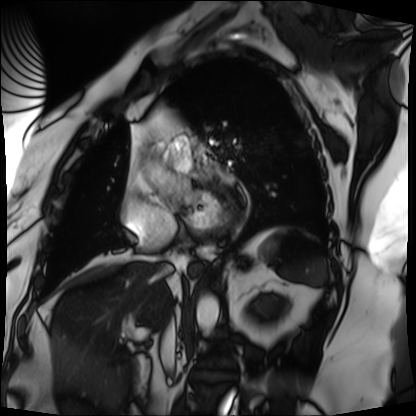
modality: cardiac MRI
cohort: patient